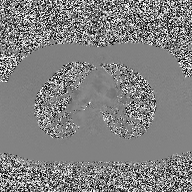
* modality: 2D phase-contrast cine MRI of the ascending aorta